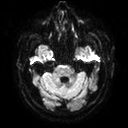
Clinical context:
3 Tesla brain MRI. Series: diffusion tensor imaging (medium iso). Study: ring-enhancing brain masses.